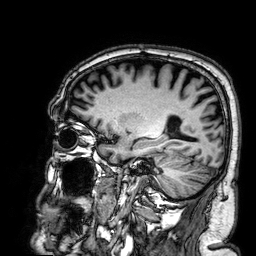
3 Tesla brain MRI.
Series: 3D T1-weighted.
Study: ring-enhancing brain masses.